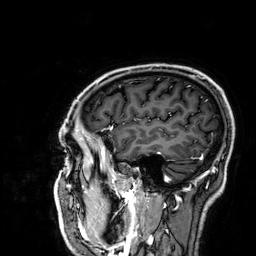
  modality:
    type: brain MRI
    field_strength: 3T
  series: 3D T1-weighted
  study_topic: ring-enhancing brain masses